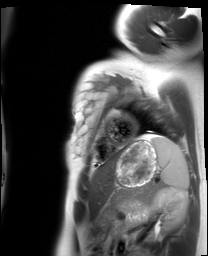
Clinical context:
Cardiac MRI. Subject group: healthy volunteer.